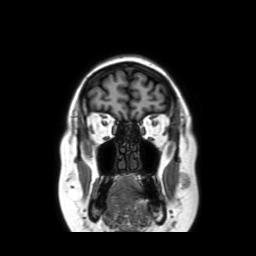
3 Tesla brain MRI. Series: coronal without contrast. Study: ring-enhancing brain masses.